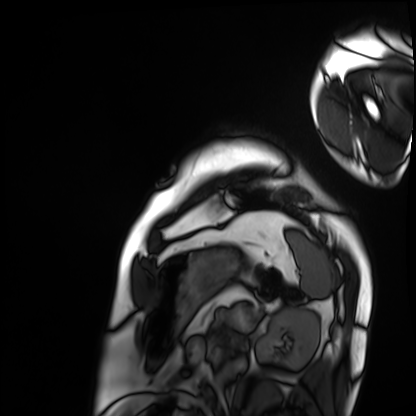
Cardiac MRI. Subject group: patient.